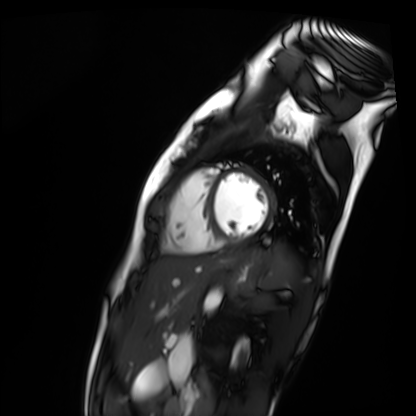
Cardiac MR image of the myocardium.
Subject cohort: healthy volunteer.